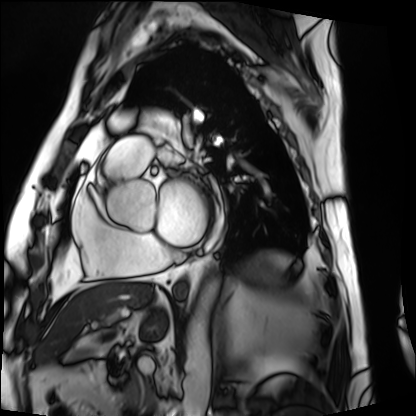
{
  "modality": "cardiac MRI",
  "cohort": "patient"
}